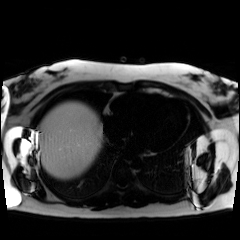
Chemical-shift-encoded cardiac MRI.